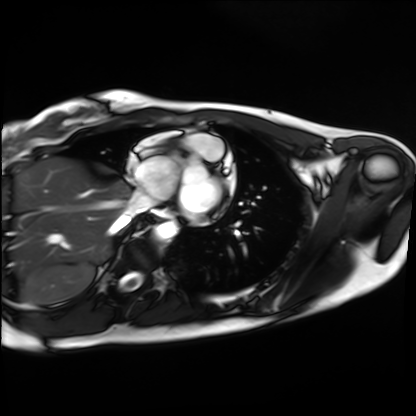
{
  "modality": "cardiac MRI",
  "cohort": "healthy volunteer"
}